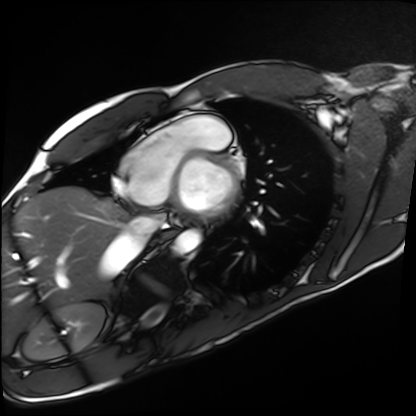
Q: What kind of scan is this?
A: Cardiac MRI.
Subject group: healthy volunteer.